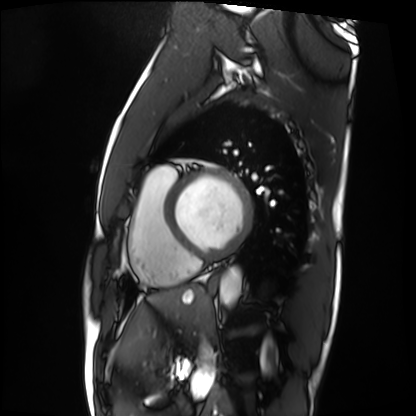
modality = cardiac MRI
subject group = patient